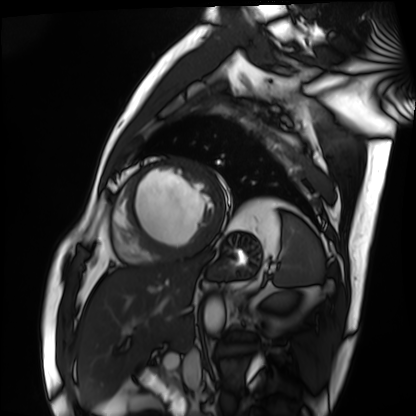
Q: What kind of scan is this?
A: Cardiac MRI.
Subject group: patient.